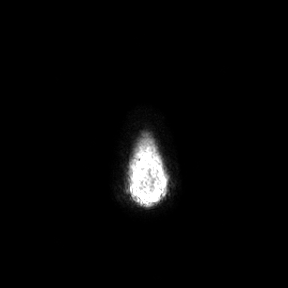
{
  "modality": {
    "type": "brain MRI",
    "field_strength": "3T"
  },
  "series": "axial",
  "study_topic": "ring-enhancing brain masses"
}